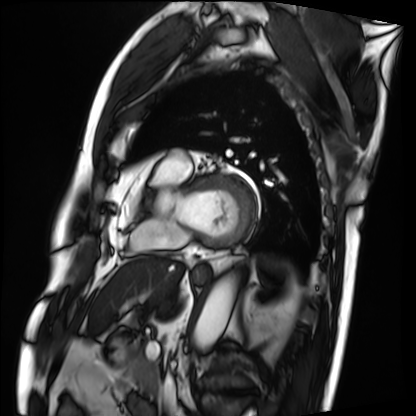
Clinical context:
Cardiac MRI. Subject group: patient.